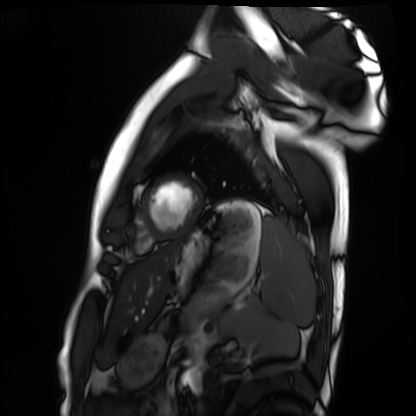
Cardiac MRI.
Subject group: healthy volunteer.